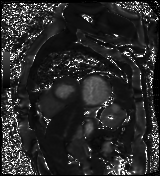
Summary:
Cardiac MR image of the myocardium. Subject cohort: cardiac patient.